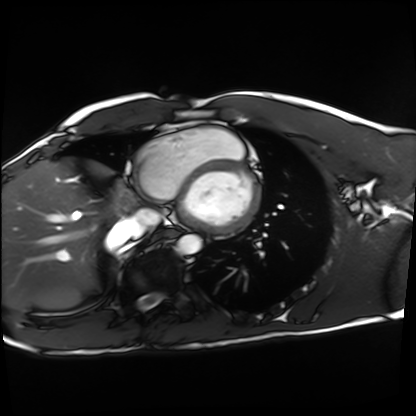
modality=cardiac MRI | subject group=healthy volunteer.